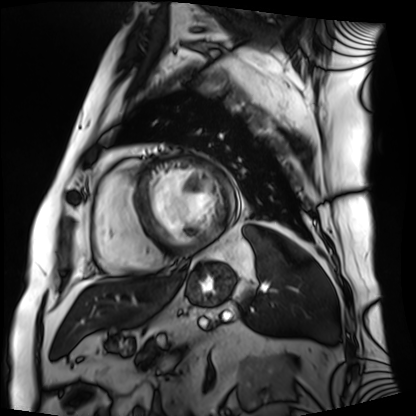
modality: cardiac MRI | subject group: patient.